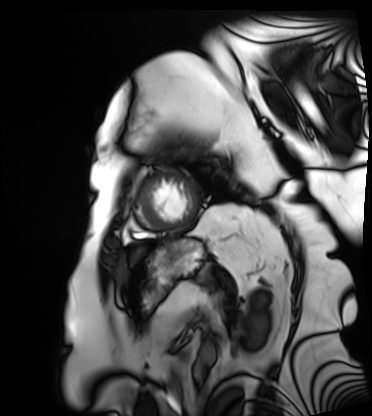
Summary:
Cardiac MRI. Subject group: patient.